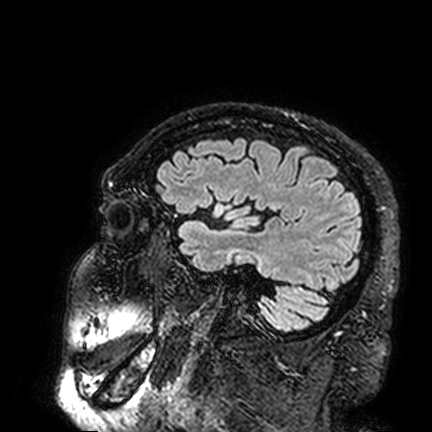
3 Tesla brain MRI.
Study: ring-enhancing brain masses.